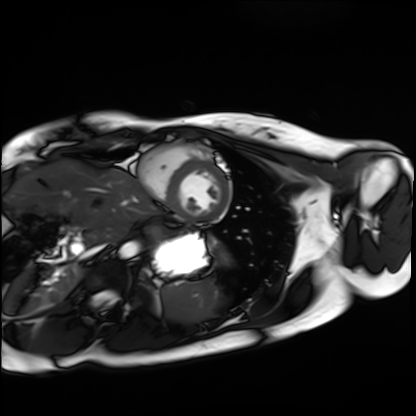
Cardiac MRI. Subject group: healthy volunteer.